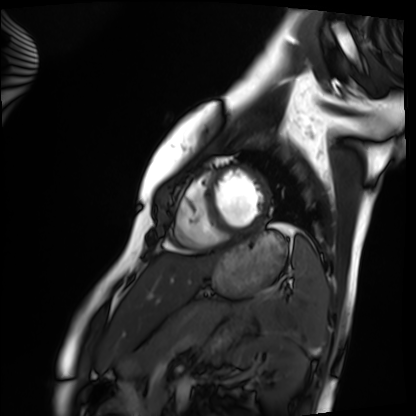
modality — cardiac MRI | subject group — healthy volunteer.